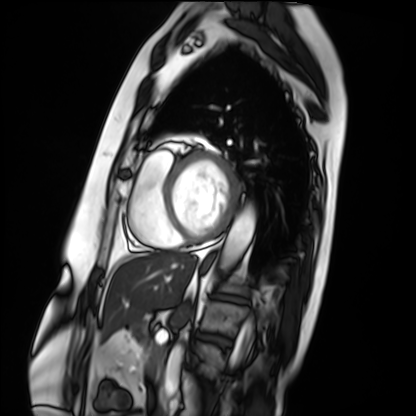
Cardiac MRI.
Subject group: patient.